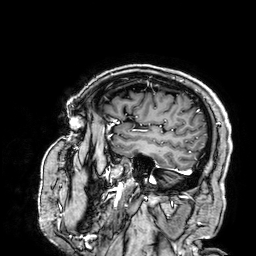
Q: What kind of scan is this?
A: 3 Tesla brain MRI.
Q: Series?
A: 3D T1-weighted.
Study: ring-enhancing brain masses.